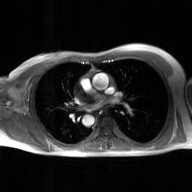
• modality: 2D phase-contrast cine MRI of the ascending aorta, GAN super-resolution reconstruction